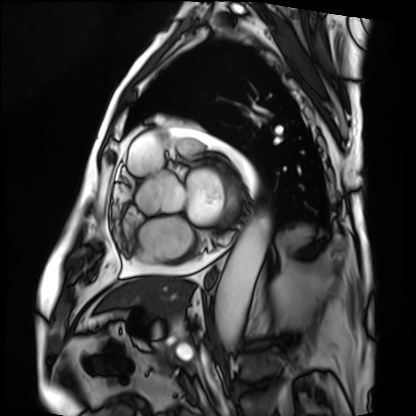
Summary: Cardiac MRI. Subject group: patient.